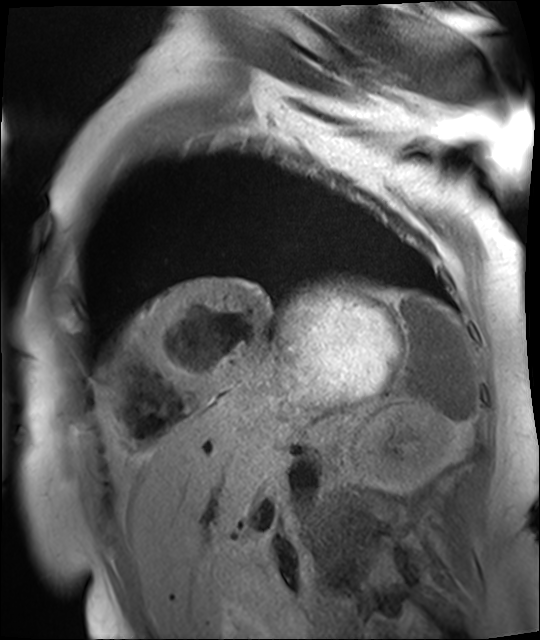
modality: cardiac MR image of the myocardium
subject cohort: cardiac patient